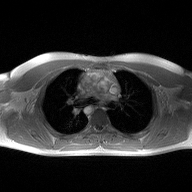
Case summary:
2D phase-contrast cine MRI of the ascending aorta, high-resolution GRAPPA acquisition.